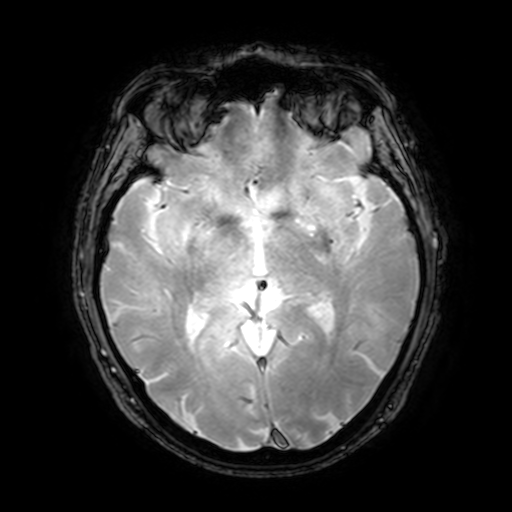
Clinical context:
3 Tesla brain MRI. Study: ring-enhancing brain masses.